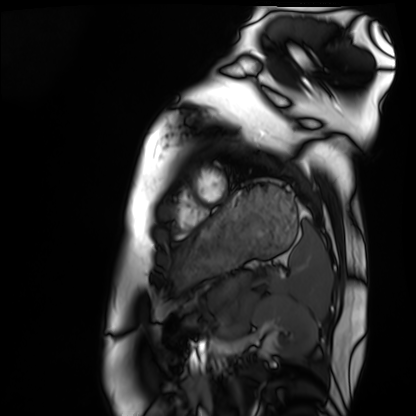
modality: cardiac MRI | subject group: healthy volunteer.